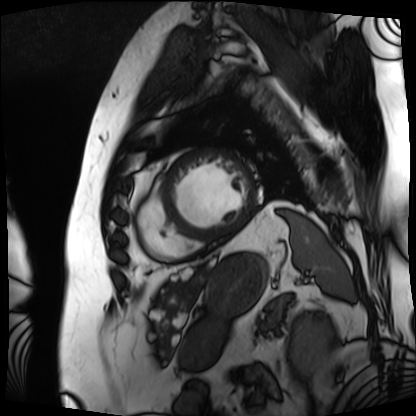
- modality: cardiac MRI
- subject group: patient